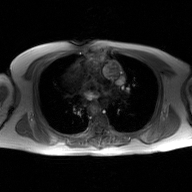
Clinical context: 2D phase-contrast cine MRI of the ascending aorta, GAN super-resolution reconstruction.